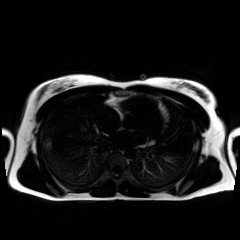
Summary: Chemical-shift-encoded cardiac MRI.